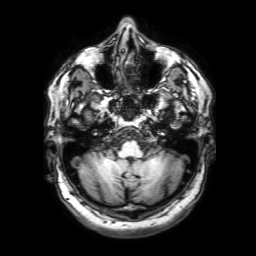
modality — 3 Tesla brain MRI
series — 3D T1-weighted with SENSE
study — ring-enhancing brain masses